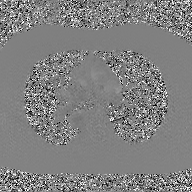
modality=2D phase-contrast cine MRI of the ascending aorta, GAN super-resolution reconstruction.